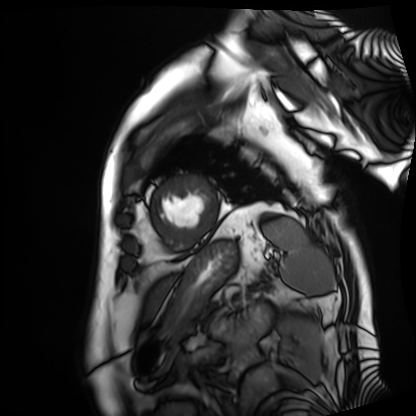
<scan>
  <modality>cardiac MRI</modality>
  <cohort>patient</cohort>
</scan>